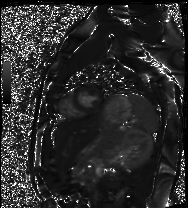
Case:
– modality: cardiac MRI
– subject group: healthy volunteer